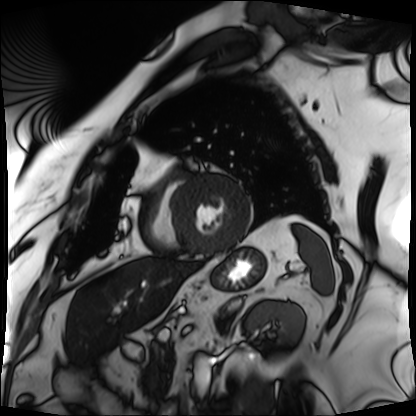
Q: What kind of scan is this?
A: Cardiac MRI.
Subject group: patient.